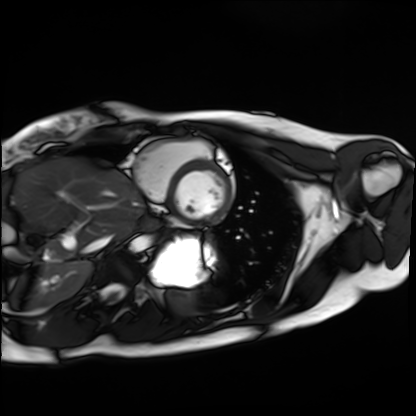
modality = cardiac MRI, subject group = healthy volunteer.